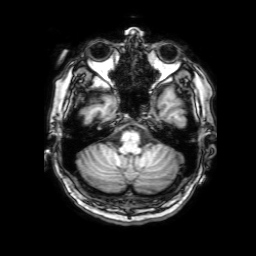
- modality: 3 Tesla brain MRI
- series: 3D T1-weighted with SENSE
- study: ring-enhancing brain masses